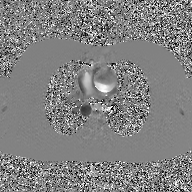
2D phase-contrast cine MRI of the ascending aorta, GAN super-resolution reconstruction.